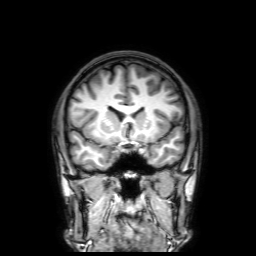
modality: 3 Tesla brain MRI; series: 3D T1-weighted with SENSE; study: ring-enhancing brain masses.